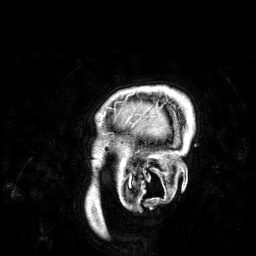
3 Tesla brain MRI.
Series: 3D T1-weighted.
Study: ring-enhancing brain masses.